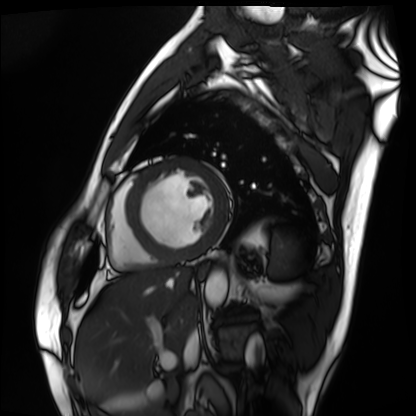
Cardiac MRI.
Subject group: patient.